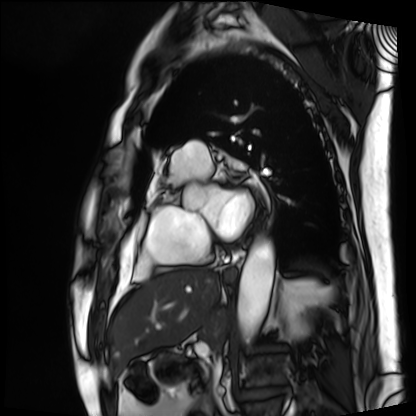
modality: cardiac MRI
cohort: patient